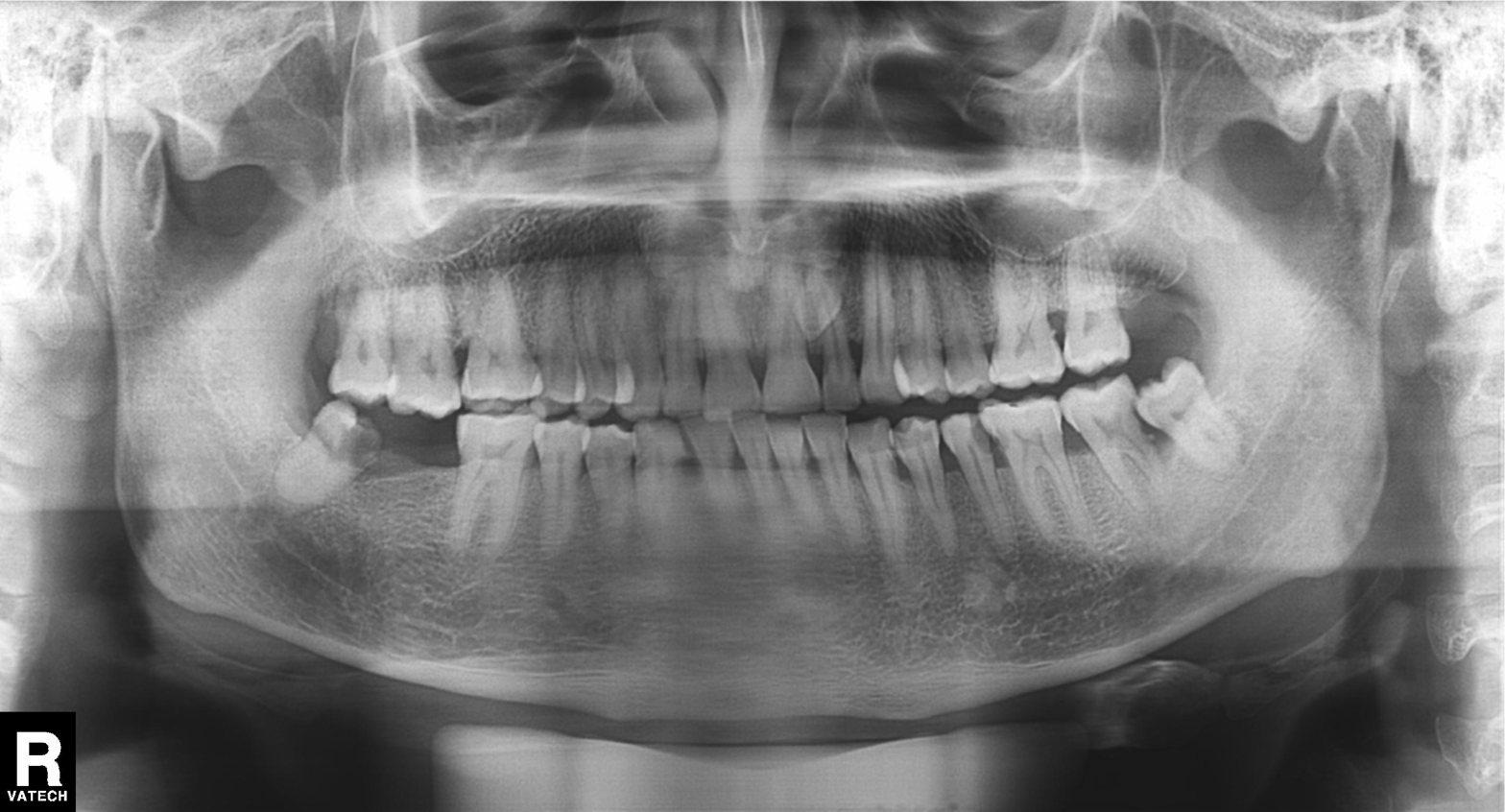
<record>
<modality>panoramic dental radiograph (orthopantomogram)</modality>
<finding>tooth impaction</finding>
</record>